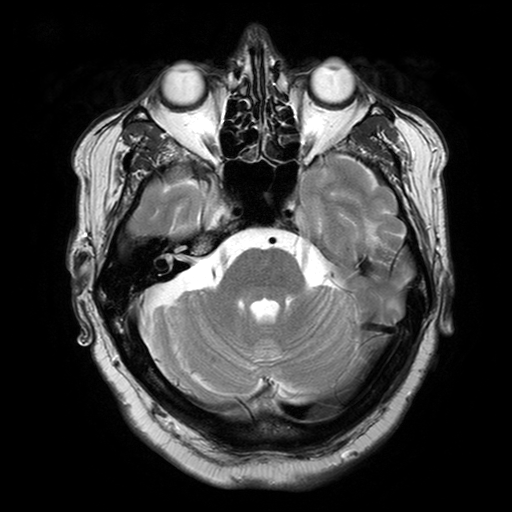
{"modality": {"type": "brain MRI", "field_strength": "3T"}, "series": "T2-weighted turbo spin echo with SENSE", "study_topic": "ring-enhancing brain masses"}